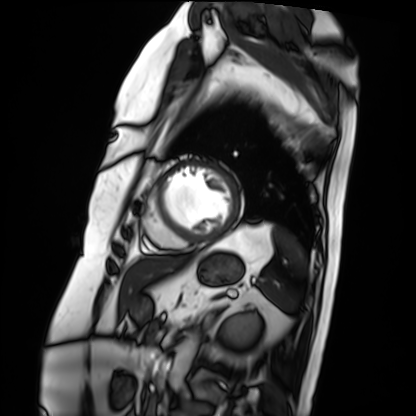
<record>
  <modality>cardiac MRI</modality>
  <cohort>patient</cohort>
</record>